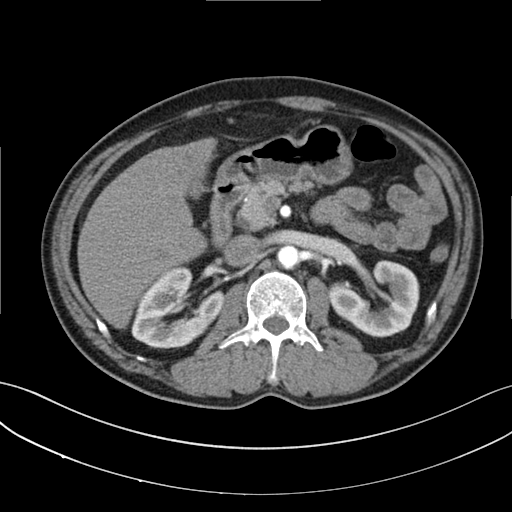
{
  "modality": {
    "type": "multiphase abdominal CT",
    "region": "liver",
    "phase": "arterial"
  },
  "patient": {
    "sex": "male",
    "age": 53
  }
}